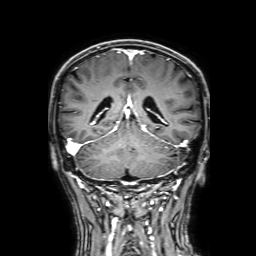
modality = 3 Tesla brain MRI
series = 3D T1-weighted with SENSE
study = ring-enhancing brain masses